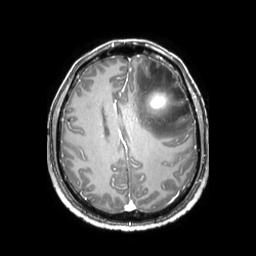
– modality · 3 Tesla brain MRI
– series · 3D T1-weighted TFE with SENSE
– study · ring-enhancing brain masses